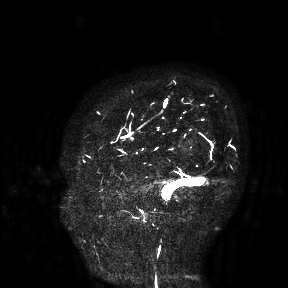
modality: 3 Tesla brain MRI
study: ring-enhancing brain masses